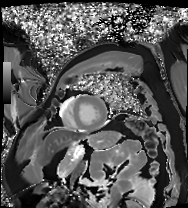
Cardiac MRI.
Subject group: patient.